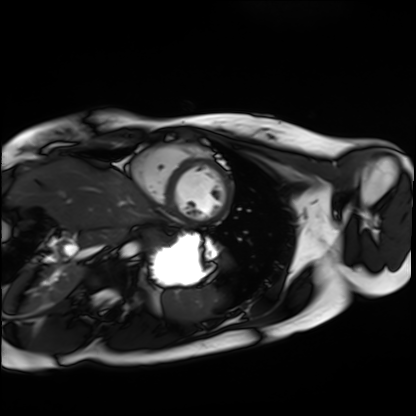
Cardiac MRI.
Subject group: healthy volunteer.